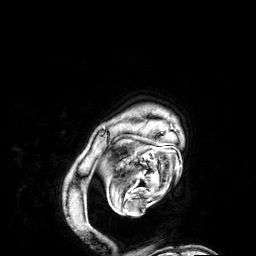
| field | value |
|---|---|
| modality | 3 Tesla brain MRI |
| series | 3D T1-weighted |
| study | ring-enhancing brain masses |